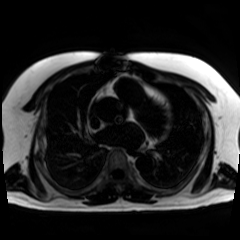
Chemical-shift-encoded cardiac MRI.